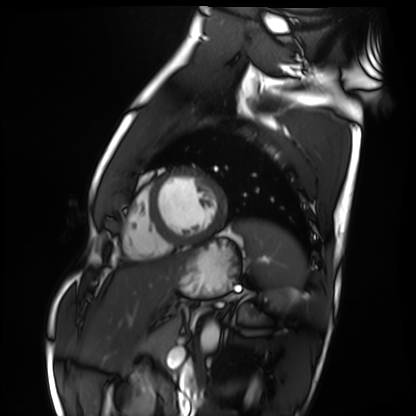
Summary:
Cardiac MRI. Subject group: healthy volunteer.